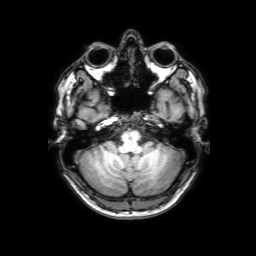
3 Tesla brain MRI. Series: 3D T1-weighted with SENSE. Study: ring-enhancing brain masses.